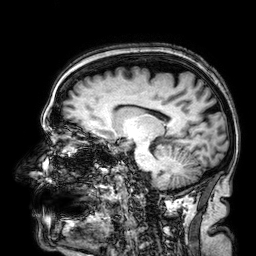
modality — 3 Tesla brain MRI | series — 3D T1-weighted | study — ring-enhancing brain masses.